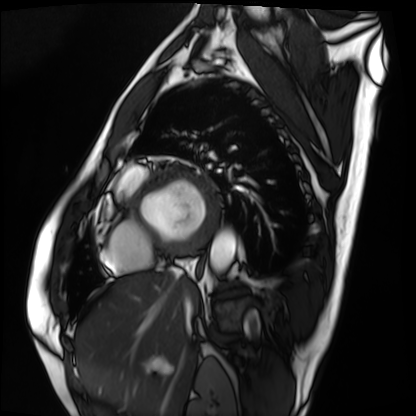
Q: What kind of scan is this?
A: Cardiac MRI.
Subject group: patient.